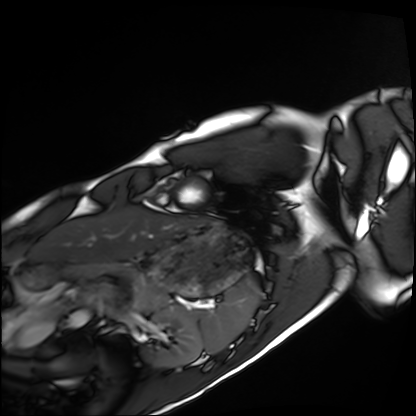
Cardiac MRI.
Subject group: healthy volunteer.